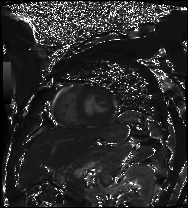
modality: cardiac MRI | subject group: patient.